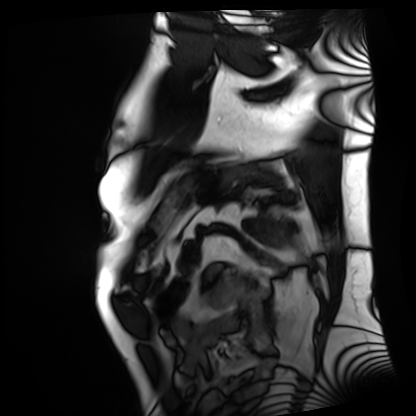
modality = cardiac MRI, subject group = patient.